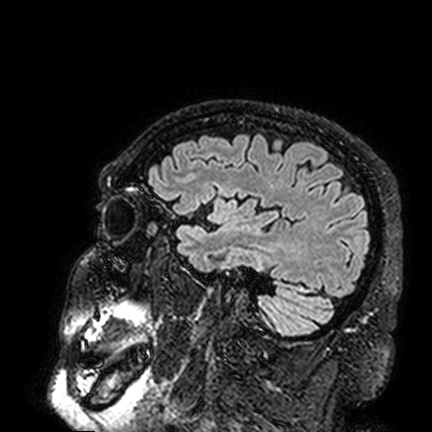
| field | value |
|---|---|
| modality | 3 Tesla brain MRI |
| series | FLAIR VISTA |
| study | ring-enhancing brain masses |